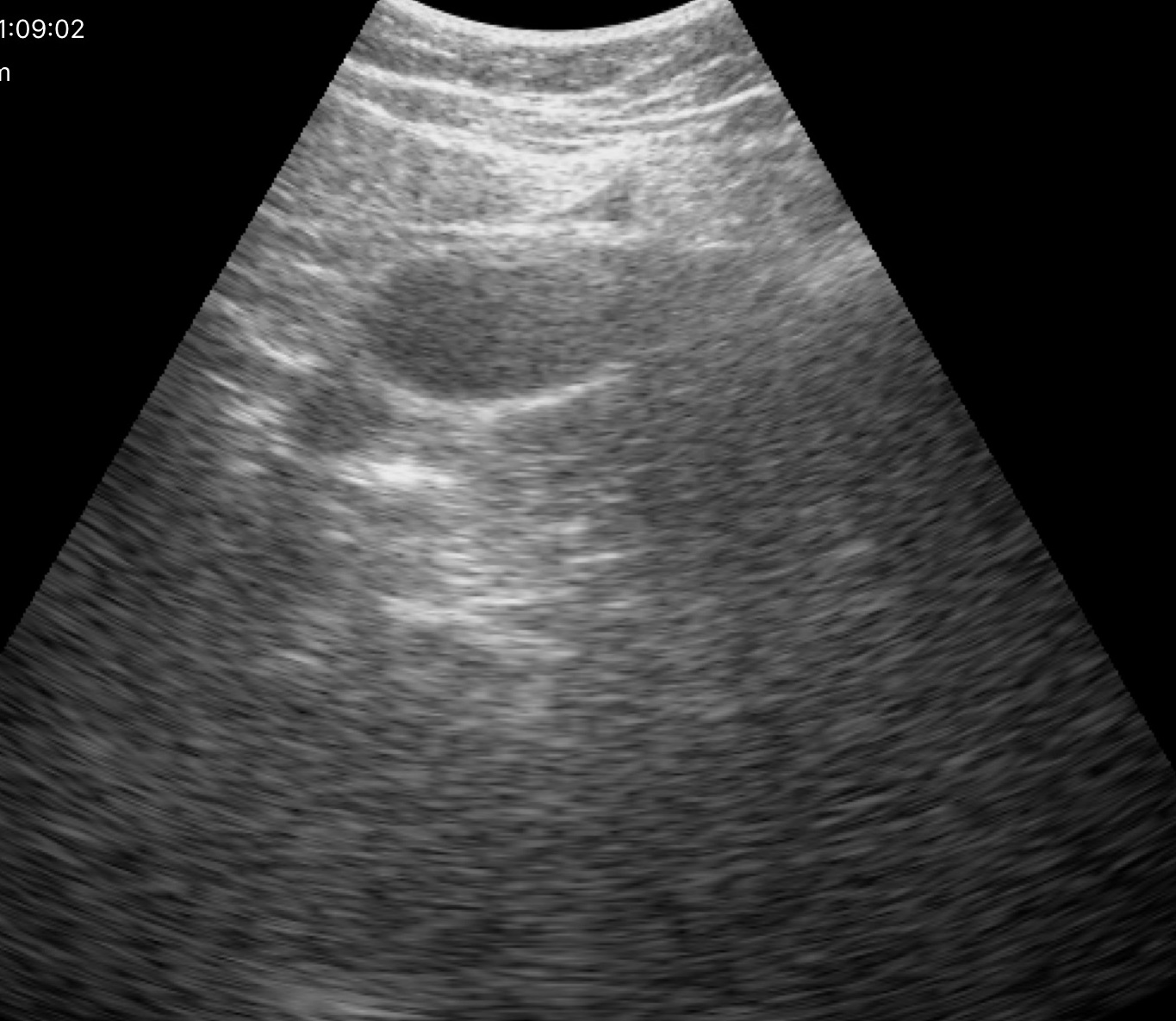
Genitourinary ultrasound.